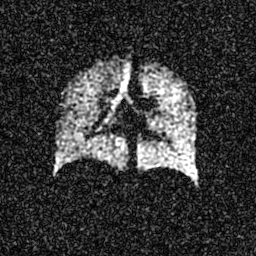
Hyperpolarized 129Xe ventilation MRI of the lungs.